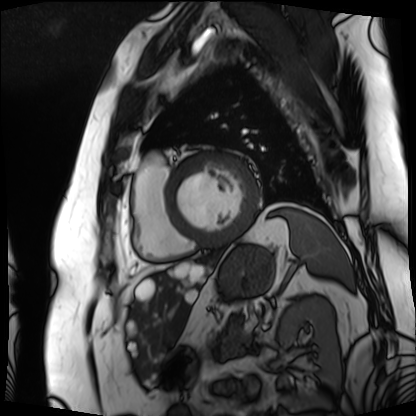
<case>
<modality>cardiac MRI</modality>
<cohort>patient</cohort>
</case>